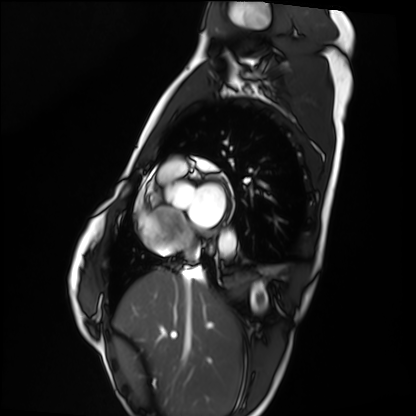
<case>
  <modality>cardiac MRI</modality>
  <cohort>healthy volunteer</cohort>
</case>